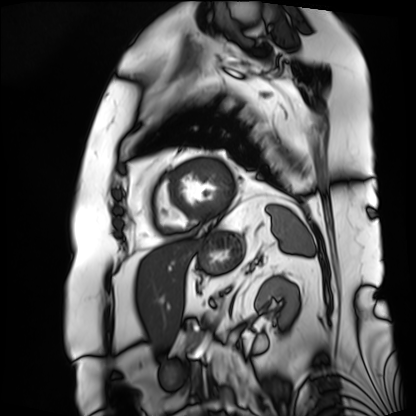
modality = cardiac MRI; subject group = patient.